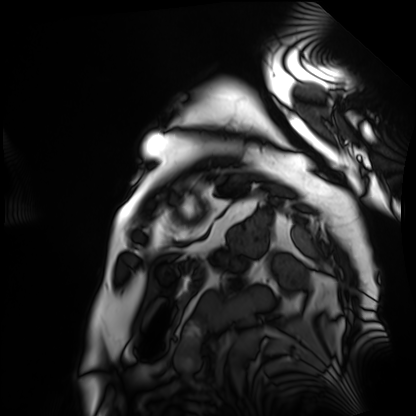
Summary:
Cardiac MRI. Subject group: patient.